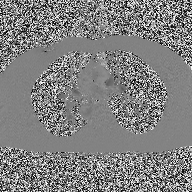
{
  "modality": {
    "type": "2D phase-contrast cine MRI",
    "region": "ascending aorta",
    "reconstruction": "high-resolution GRAPPA acquisition"
  }
}